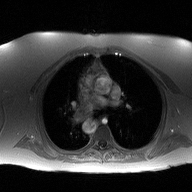
2D phase-contrast cine MRI of the ascending aorta, high-resolution GRAPPA acquisition.